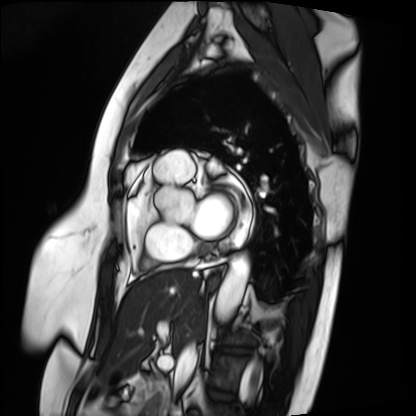
modality — cardiac MRI | subject group — patient.